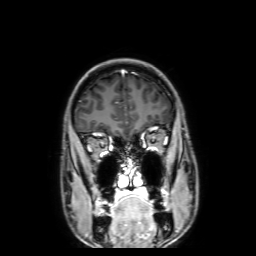
Q: What kind of scan is this?
A: 3 Tesla brain MRI.
Q: Series?
A: 3D T1-weighted with SENSE.
Study: ring-enhancing brain masses.